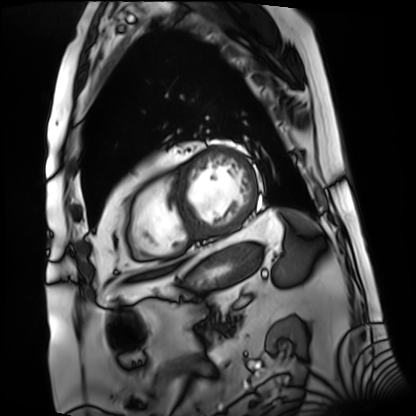
Summary: Cardiac MRI. Subject group: patient.